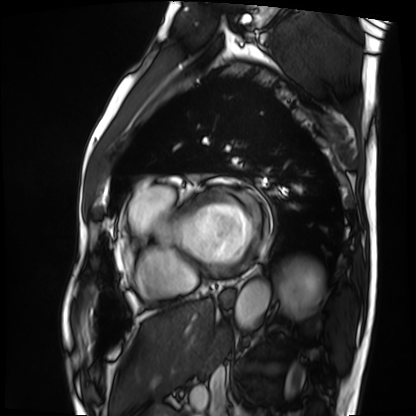
Case summary:
Cardiac MRI. Subject group: patient.